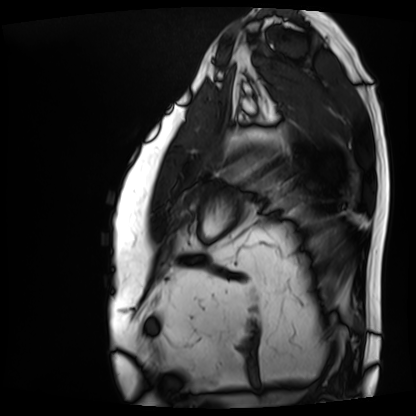
Cardiac MRI. Subject group: patient.